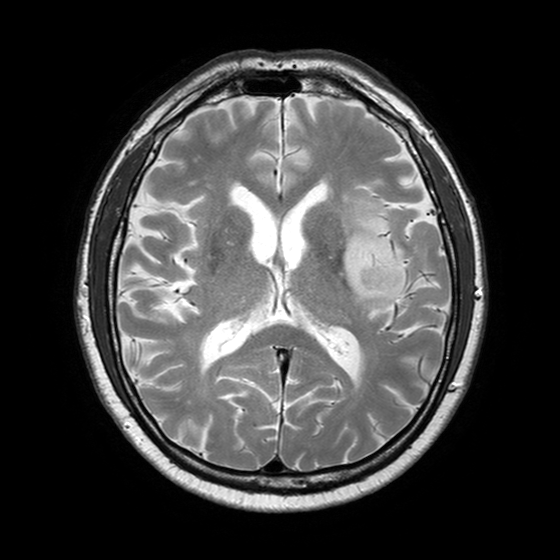
3 Tesla brain MRI. Series: T2-weighted turbo spin echo with SENSE. Study: ring-enhancing brain masses.